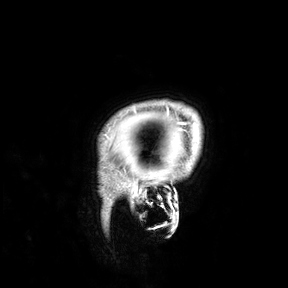
Summary: 3 Tesla brain MRI. Study: ring-enhancing brain masses.